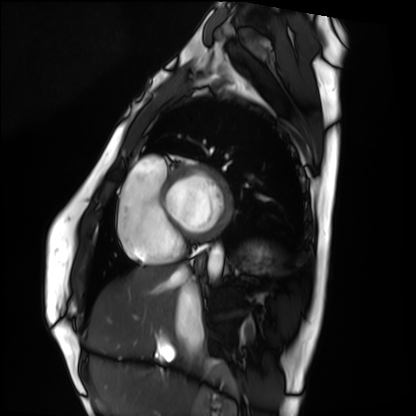
Clinical context:
Cardiac MRI. Subject group: healthy volunteer.